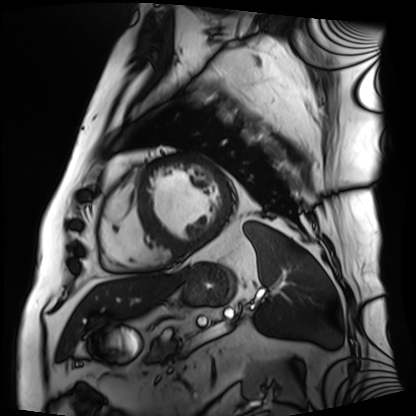
Case:
• modality · cardiac MRI
• subject group · patient